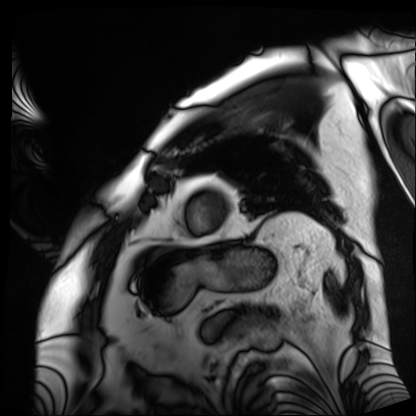
Cardiac MRI. Subject group: patient.